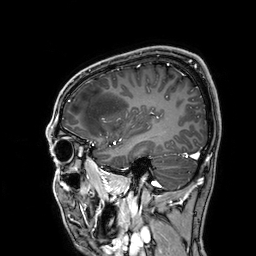
3 Tesla brain MRI.
Series: 3D T1-weighted.
Study: ring-enhancing brain masses.